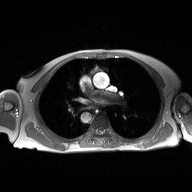
Summary: 2D phase-contrast cine MRI of the ascending aorta, high-resolution GRAPPA acquisition.